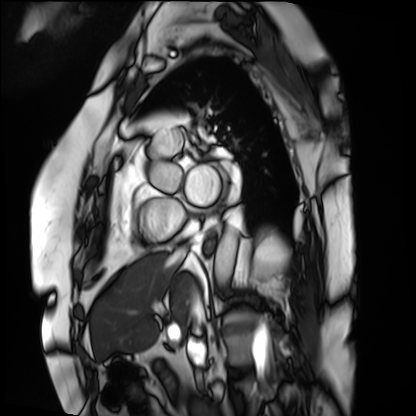
Q: What kind of scan is this?
A: Cardiac MRI.
Subject group: patient.